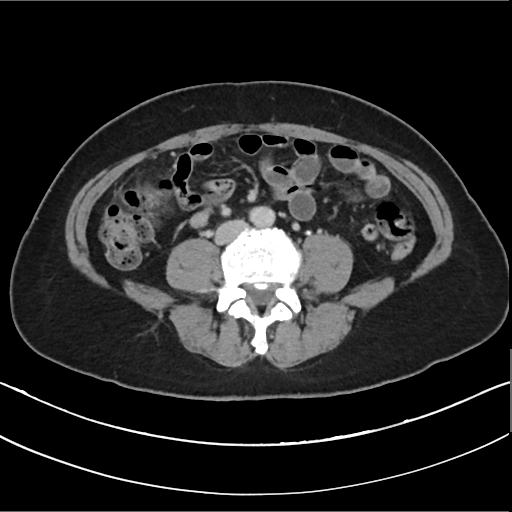
Summary: Multiphase abdominal CT, liver, delayed phase. Patient: female, age 54.